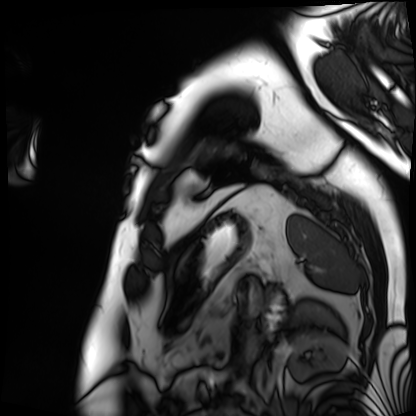
modality = cardiac MRI
subject group = patient